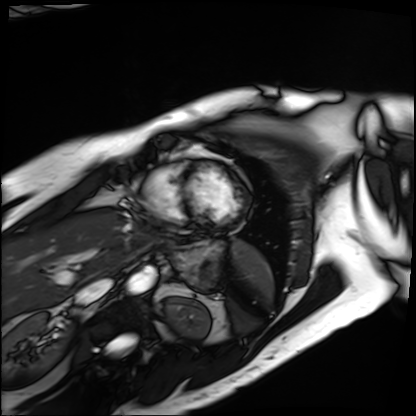
Cardiac MRI.
Subject group: patient.